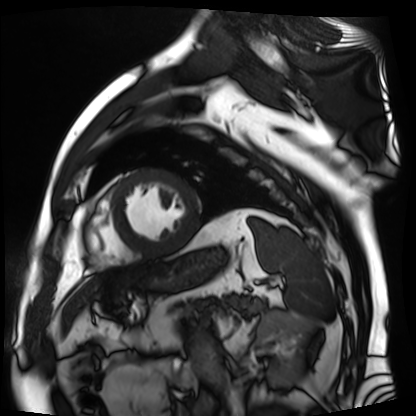
| field | value |
|---|---|
| modality | cardiac MR image of the myocardium |
| subject cohort | cardiac patient |